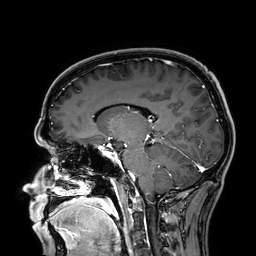
Clinical context: 3 Tesla brain MRI. Series: 3D T1-weighted. Study: ring-enhancing brain masses.